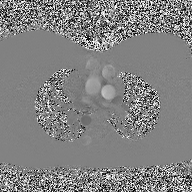
modality: 2D phase-contrast cine MRI of the ascending aorta.